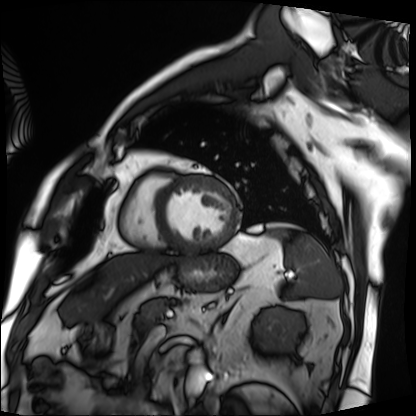
Cardiac MRI. Subject group: patient.